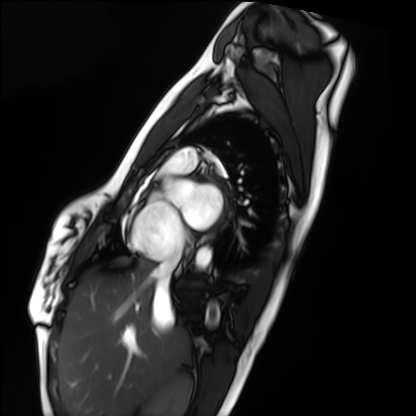
{"modality": "cardiac MRI", "cohort": "healthy volunteer"}